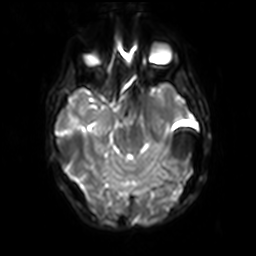
modality: 3 Tesla brain MRI | series: diffusion-weighted imaging with SENSE (WIP) | study: ring-enhancing brain masses.